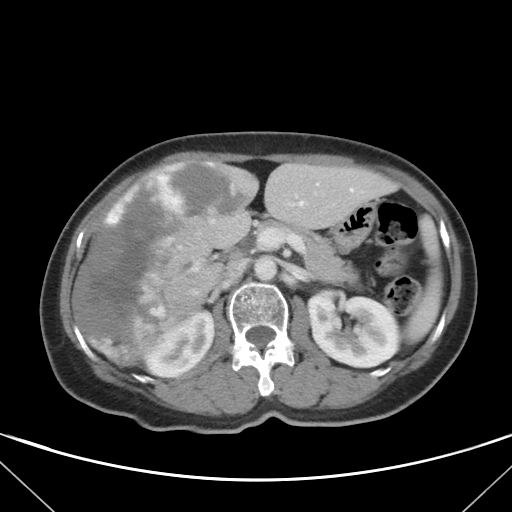
- modality: multiphase abdominal CT, liver, portal venous phase
- patient: female, age 58